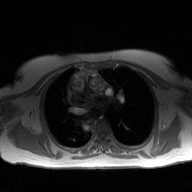
2D phase-contrast cine MRI of the ascending aorta, high-resolution GRAPPA acquisition.